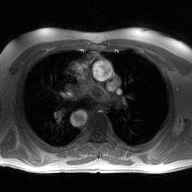
2D phase-contrast cine MRI of the ascending aorta, high-resolution GRAPPA acquisition.